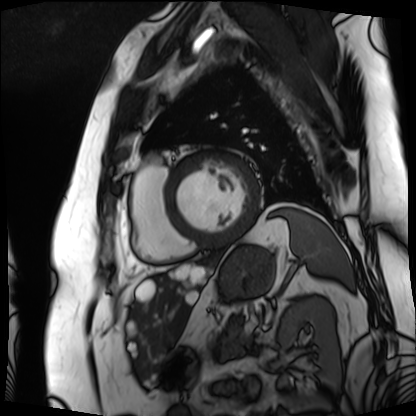
Q: What kind of scan is this?
A: Cardiac MRI.
Subject group: patient.